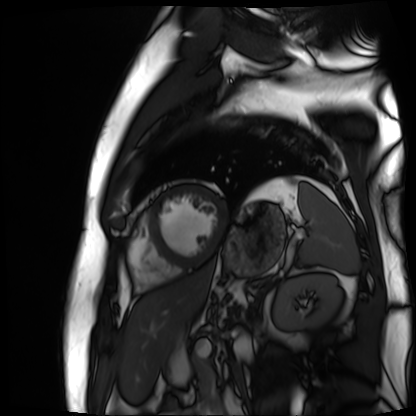
Q: What kind of scan is this?
A: Cardiac MR image of the myocardium.
Subject cohort: cardiac patient.